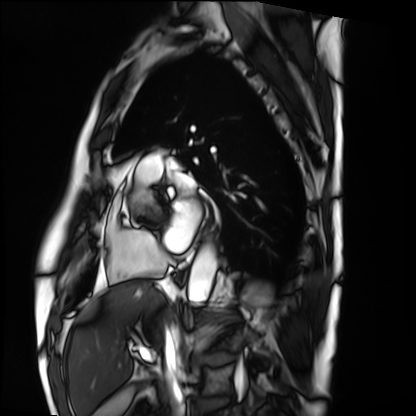
Summary: Cardiac MRI. Subject group: patient.